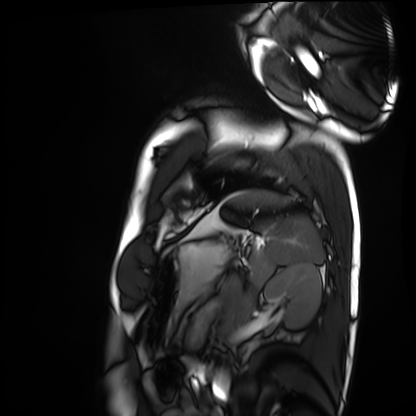
Cardiac MRI.
Subject group: healthy volunteer.